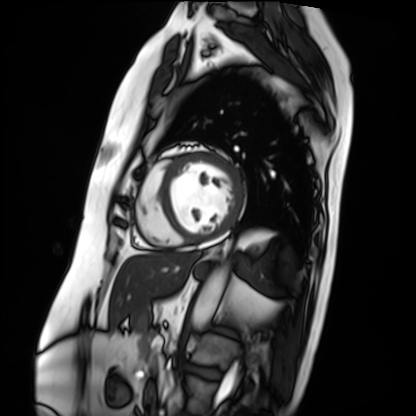
modality — cardiac MRI | subject group — patient.